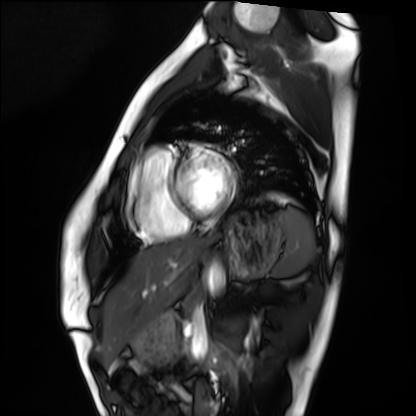
Summary: Cardiac MRI. Subject group: healthy volunteer.